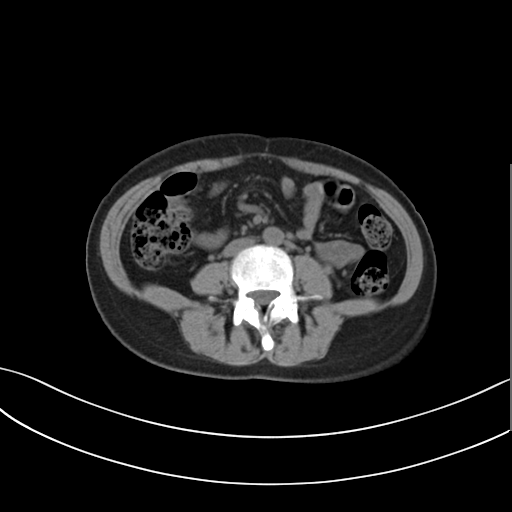
{
  "modality": {
    "type": "multiphase abdominal CT",
    "region": "liver",
    "phase": "non-contrast"
  },
  "patient": {
    "sex": "female",
    "age": 34
  },
  "history": [
    "prior chemotherapy"
  ]
}